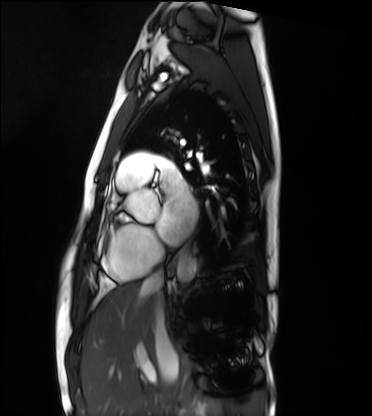
Summary:
Cardiac MRI. Subject group: healthy volunteer.